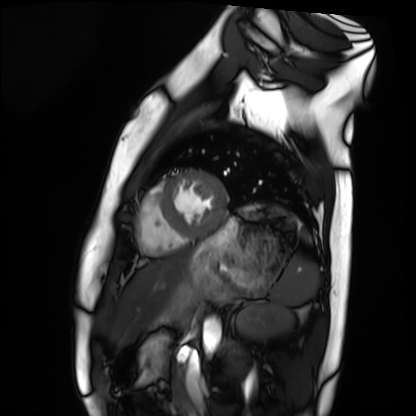
modality = cardiac MRI; subject group = healthy volunteer.